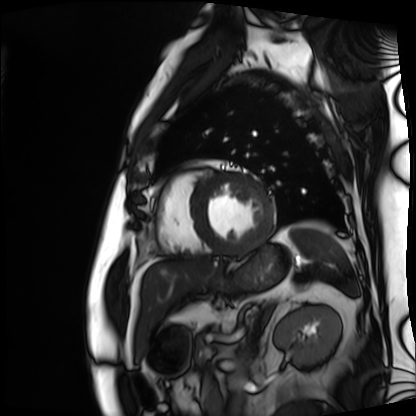
modality = cardiac MRI
subject group = patient